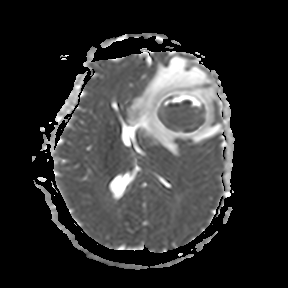
3 Tesla brain MRI. Series: apparent diffusion coefficient (ADC) map. Study: ring-enhancing brain masses.